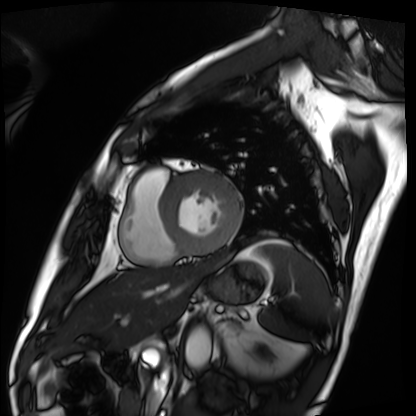
modality: cardiac MRI
subject group: patient